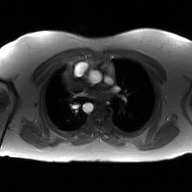
Q: What kind of scan is this?
A: 2D phase-contrast cine MRI of the ascending aorta, GAN super-resolution reconstruction.